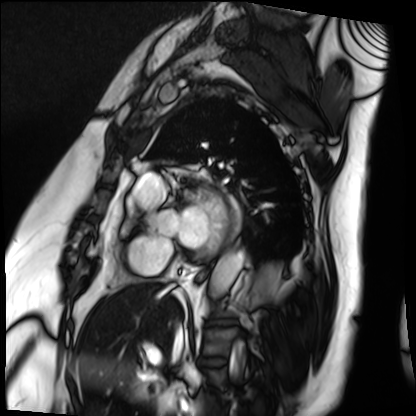
Case:
– modality · cardiac MRI
– subject group · patient